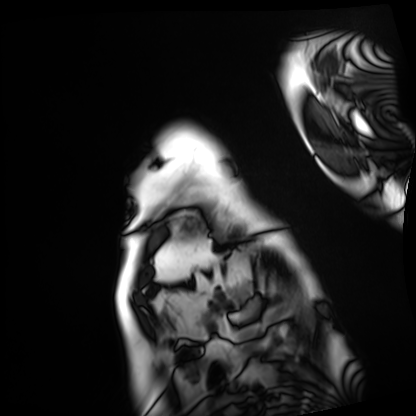
Q: What kind of scan is this?
A: Cardiac MRI.
Subject group: patient.